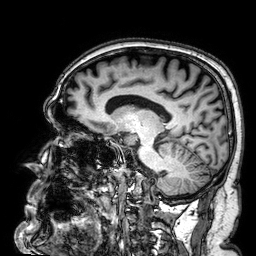
Clinical context:
3 Tesla brain MRI. Series: 3D T1-weighted. Study: ring-enhancing brain masses.